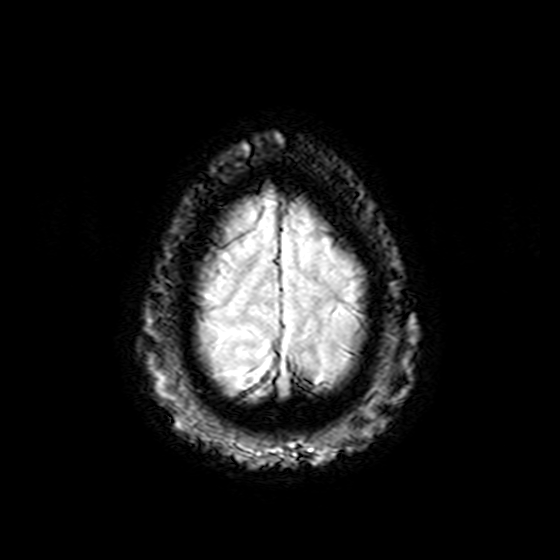
3 Tesla brain MRI. Series: T2-weighted fast field echo. Study: ring-enhancing brain masses.